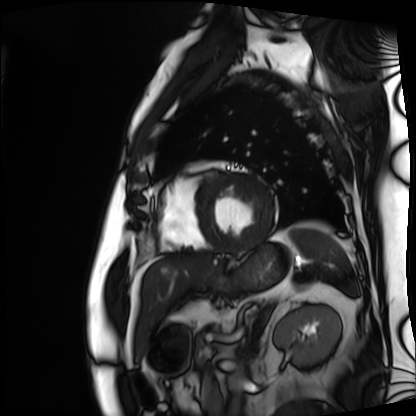
Cardiac MRI.
Subject group: patient.